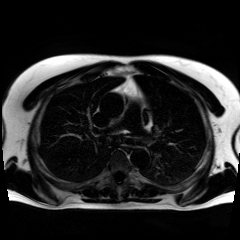
Chemical-shift-encoded cardiac MRI.